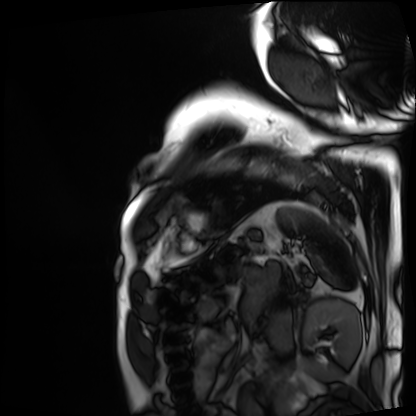
Case:
– modality — cardiac MRI
– subject group — patient